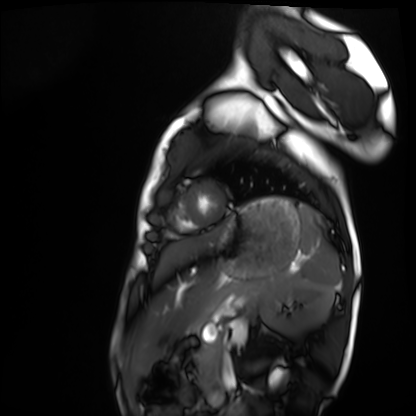
Q: What kind of scan is this?
A: Cardiac MRI.
Subject group: healthy volunteer.